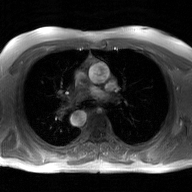
modality — 2D phase-contrast cine MRI of the ascending aorta, GAN super-resolution reconstruction